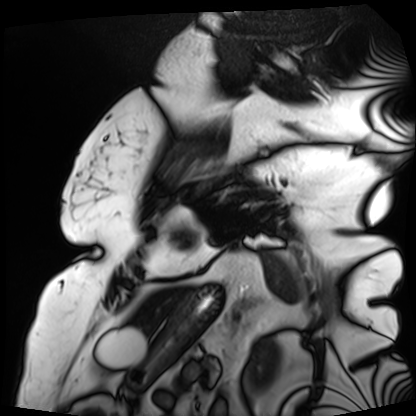
modality: cardiac MRI; subject group: patient.